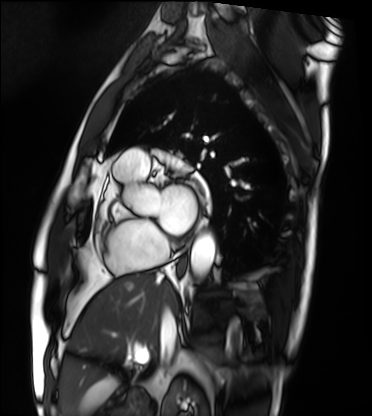
| field | value |
|---|---|
| modality | cardiac MRI |
| subject group | patient |